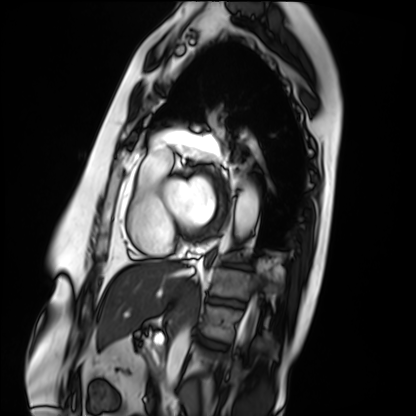
Cardiac MRI. Subject group: patient.